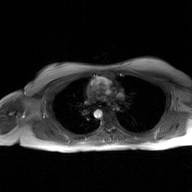
Q: What kind of scan is this?
A: 2D phase-contrast cine MRI of the ascending aorta, GAN super-resolution reconstruction.